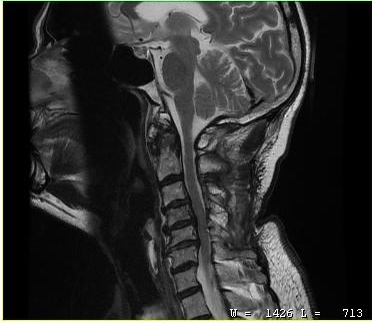
Clinical context:
MRI of the cervical spine. Study: cervical spondylosis.